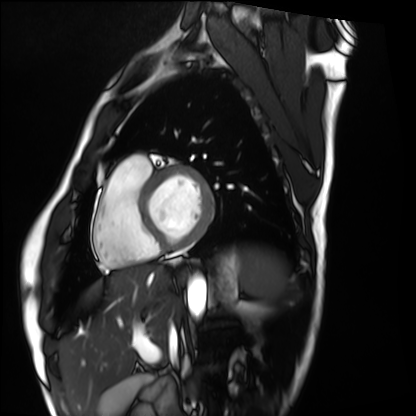
<study>
<modality>cardiac MRI</modality>
<cohort>healthy volunteer</cohort>
</study>